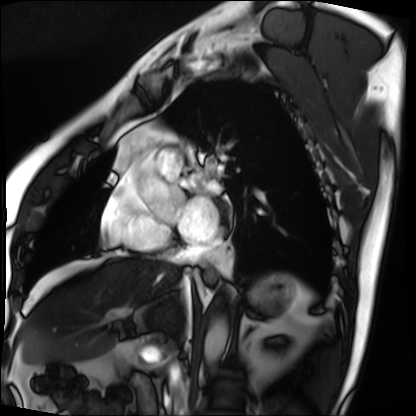
Cardiac MRI.
Subject group: patient.